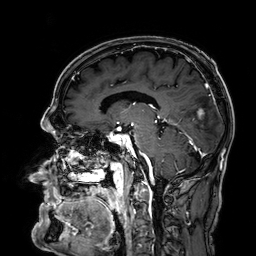
Case:
- modality · 3 Tesla brain MRI
- series · 3D T1-weighted
- study · ring-enhancing brain masses